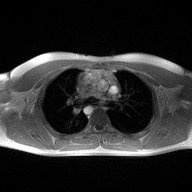
2D phase-contrast cine MRI of the ascending aorta, high-resolution GRAPPA acquisition.